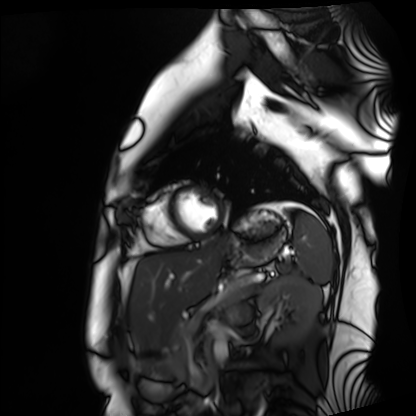
modality=cardiac MRI | subject group=healthy volunteer.